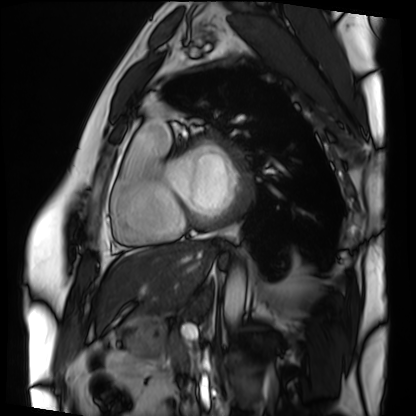
Clinical context: Cardiac MRI. Subject group: patient.